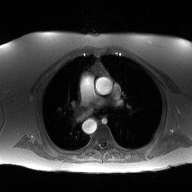
modality: 2D phase-contrast cine MRI of the ascending aorta.